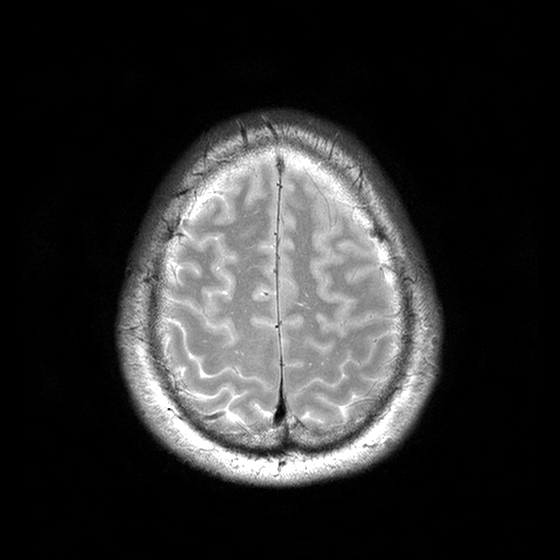
modality = 3 Tesla brain MRI; series = T2-weighted turbo spin echo with CLEAR; study = ring-enhancing brain masses.